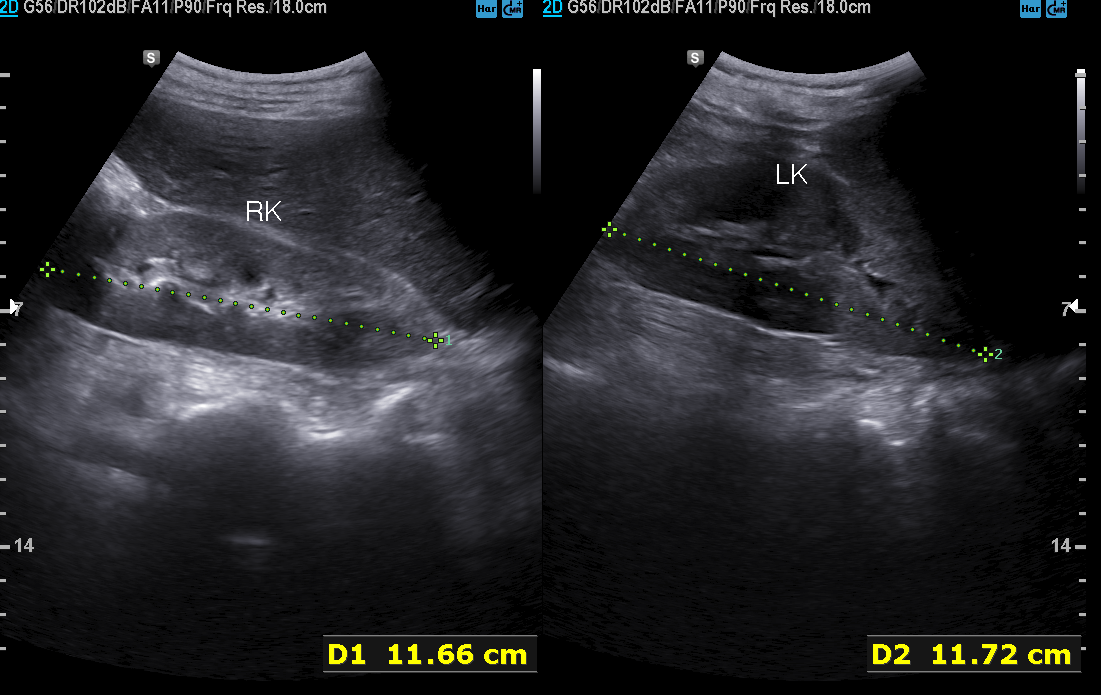
Case summary:
Genitourinary ultrasound.